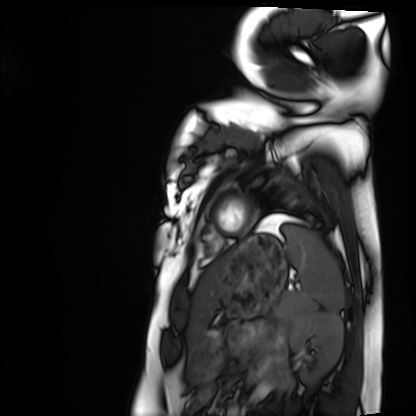
modality — cardiac MRI
subject group — healthy volunteer